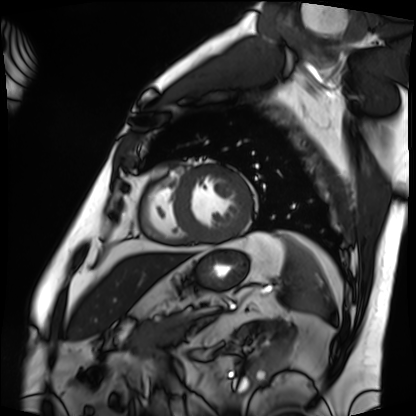
modality: cardiac MRI | subject group: patient.